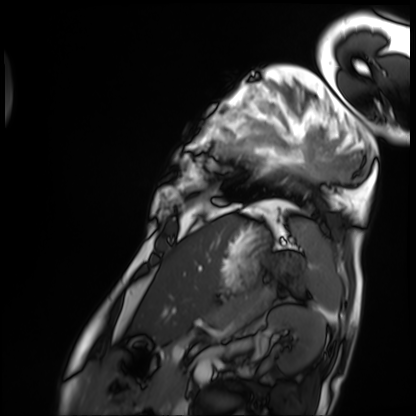
modality: cardiac MRI | subject group: patient.